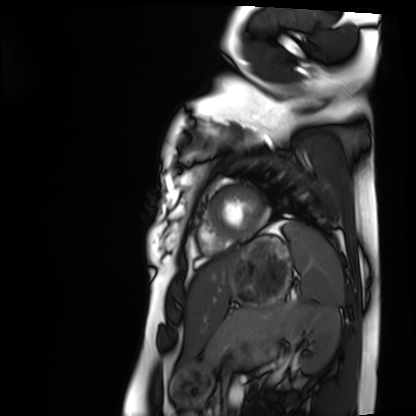
  modality: cardiac MRI
  cohort: healthy volunteer